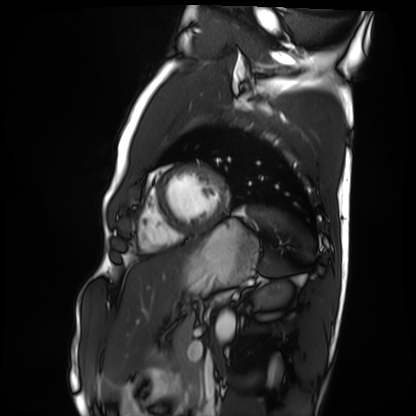
Summary: Cardiac MRI. Subject group: healthy volunteer.